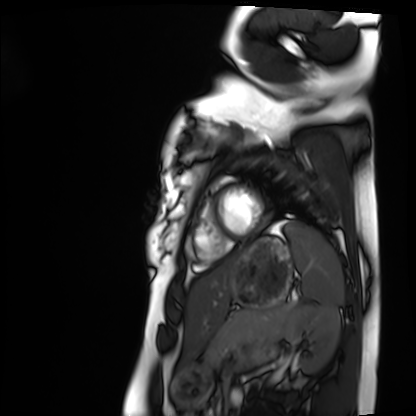
Cardiac MRI. Subject group: healthy volunteer.